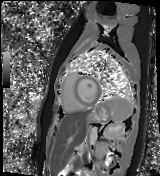
Cardiac MR image of the myocardium. Subject cohort: healthy volunteer.